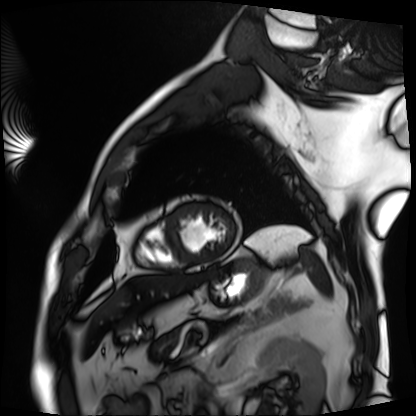
Cardiac MRI. Subject group: patient.